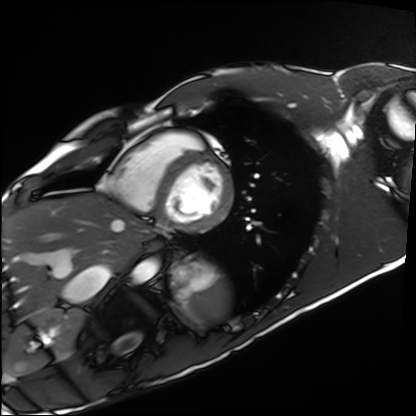
Summary:
Cardiac MRI. Subject group: healthy volunteer.